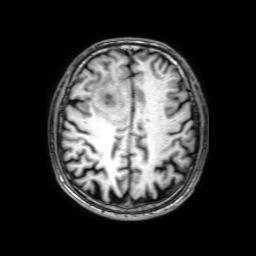
Clinical context:
3 Tesla brain MRI. Series: 3D T1-weighted with SENSE. Study: ring-enhancing brain masses.